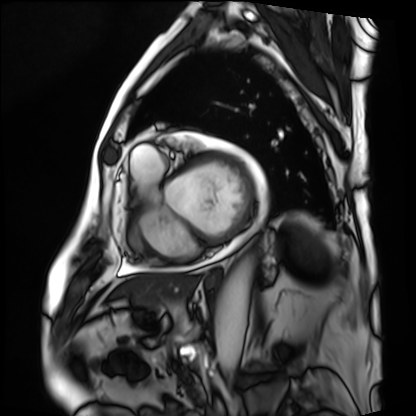
modality = cardiac MRI, subject group = patient.